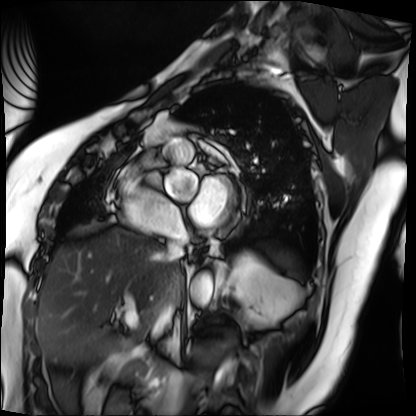
Case:
• modality: cardiac MRI
• subject group: patient